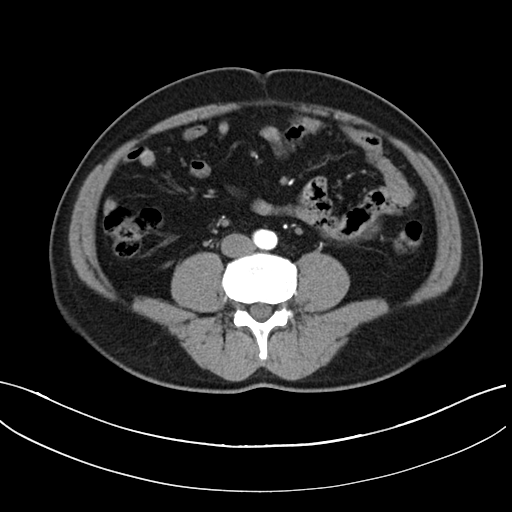
Clinical context:
Multiphase abdominal CT, liver, arterial phase. Patient: male, age 46.